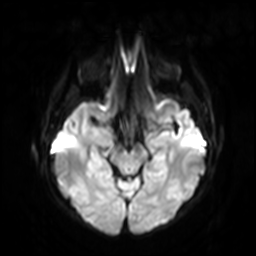
| field | value |
|---|---|
| modality | 3 Tesla brain MRI |
| series | diffusion-weighted imaging with SENSE (WIP) |
| study | ring-enhancing brain masses |